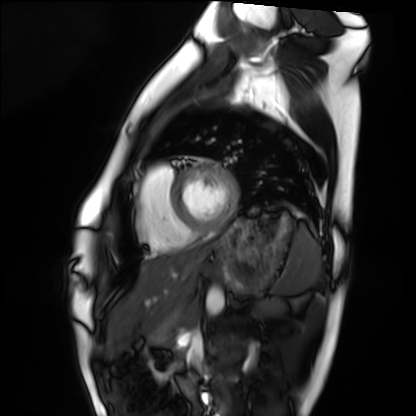
modality = cardiac MRI; subject group = healthy volunteer.